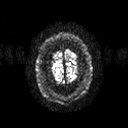
Summary: 3 Tesla brain MRI. Series: diffusion tensor imaging (medium iso). Study: ring-enhancing brain masses.